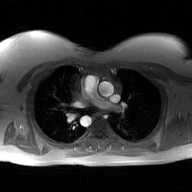
2D phase-contrast cine MRI of the ascending aorta, GAN super-resolution reconstruction.